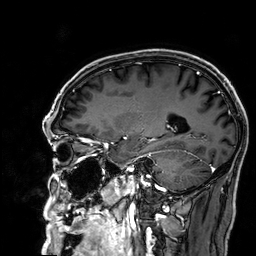
  modality:
    type: brain MRI
    field_strength: 3T
  series: 3D T1-weighted
  study_topic: ring-enhancing brain masses